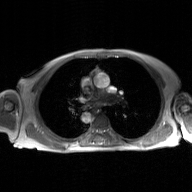
Case summary: 2D phase-contrast cine MRI of the ascending aorta, GAN super-resolution reconstruction.